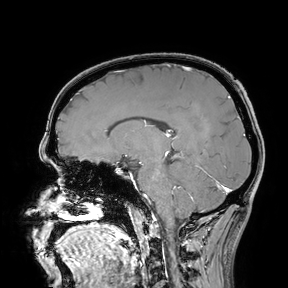
3 Tesla brain MRI.
Study: ring-enhancing brain masses.